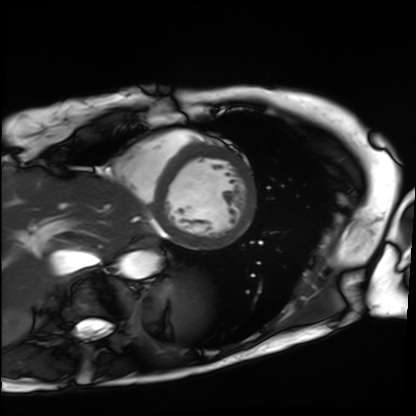
{"modality": "cardiac MRI", "cohort": "patient"}